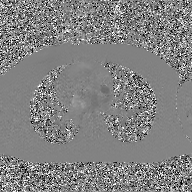
| field | value |
|---|---|
| modality | 2D phase-contrast cine MRI of the ascending aorta, GAN super-resolution reconstruction |